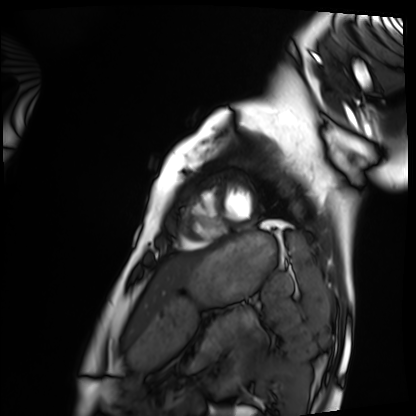
- modality — cardiac MRI
- subject group — healthy volunteer